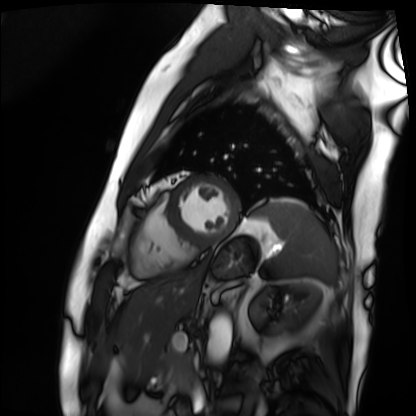
Cardiac MRI.
Subject group: patient.